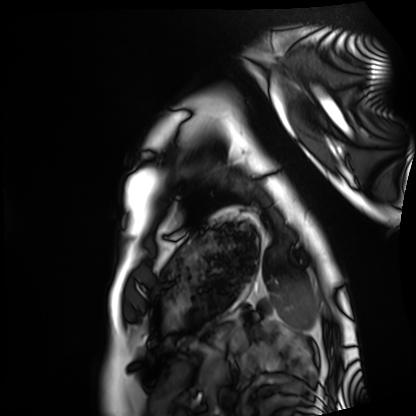
  modality: cardiac MRI
  cohort: healthy volunteer